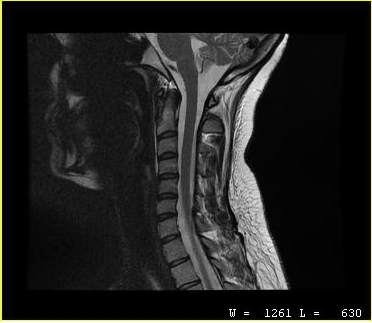
MRI of the cervical spine. Study: cervical spondylosis.